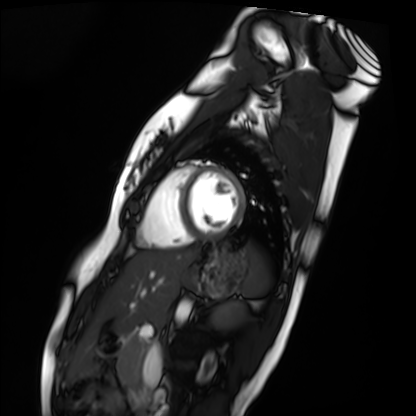
Cardiac MRI. Subject group: healthy volunteer.